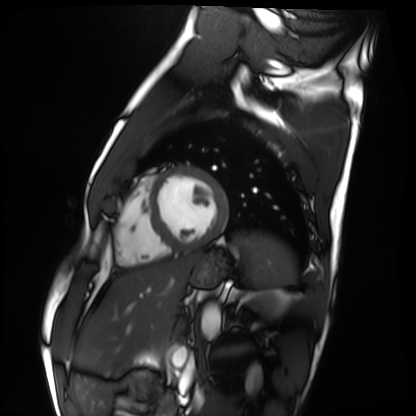
Cardiac MRI.
Subject group: healthy volunteer.